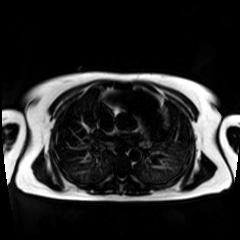
Q: What kind of scan is this?
A: Chemical-shift-encoded cardiac MRI.